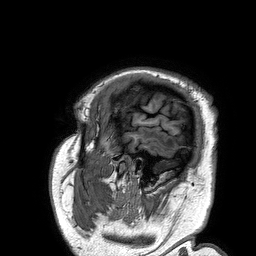
• modality — 3 Tesla brain MRI
• series — 3D T1-weighted turbo field echo
• study — ring-enhancing brain masses